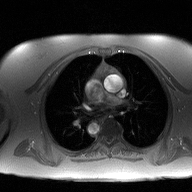
{"modality": {"type": "2D phase-contrast cine MRI", "region": "ascending aorta", "reconstruction": "high-resolution GRAPPA acquisition"}}